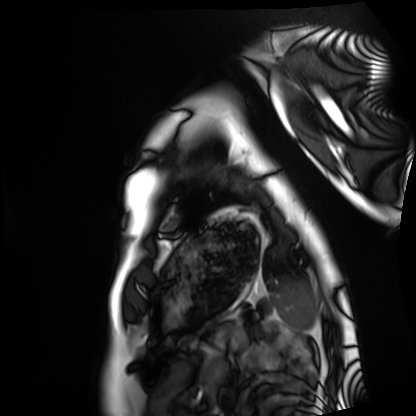
Cardiac MRI.
Subject group: healthy volunteer.